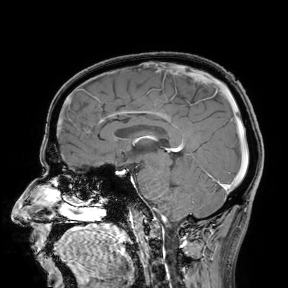
Q: What kind of scan is this?
A: 3 Tesla brain MRI.
Study: ring-enhancing brain masses.